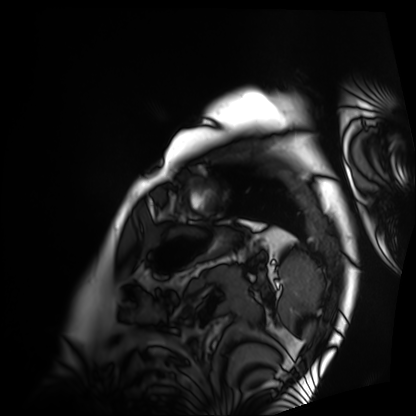
Q: What kind of scan is this?
A: Cardiac MRI.
Subject group: patient.